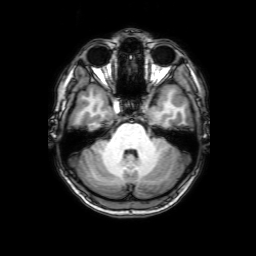
Summary: 3 Tesla brain MRI. Series: 3D T1-weighted with SENSE. Study: ring-enhancing brain masses.